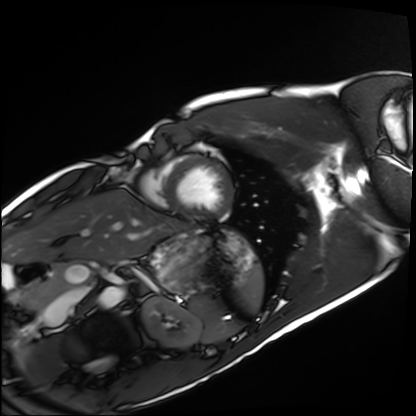
modality: cardiac MRI
cohort: healthy volunteer